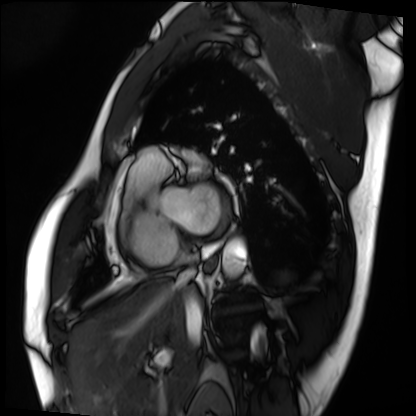
Cardiac MRI.
Subject group: patient.